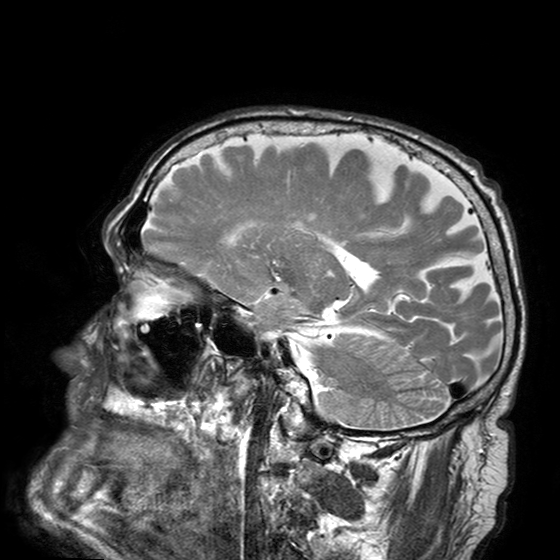
modality: 3 Tesla brain MRI; series: T2-weighted turbo spin echo with SENSE; study: ring-enhancing brain masses.